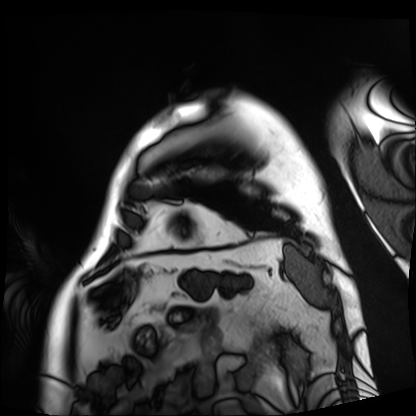
  modality: cardiac MRI
  cohort: patient